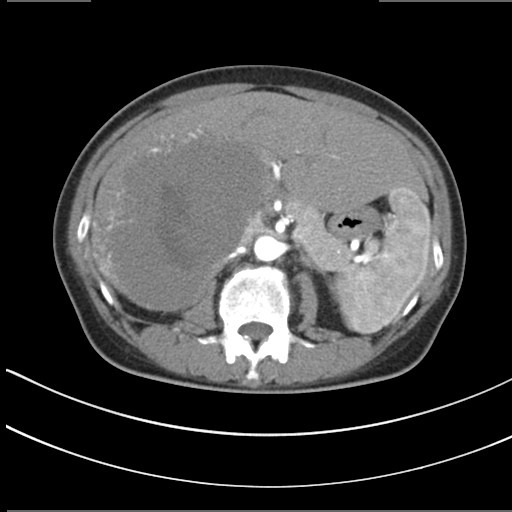
| field | value |
|---|---|
| modality | multiphase abdominal CT, liver, arterial phase |
| patient | female, age 55 |